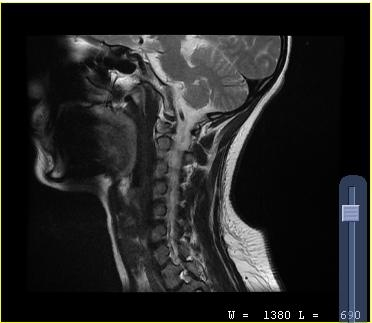
MRI of the cervical spine.
Study: cervical spondylosis.